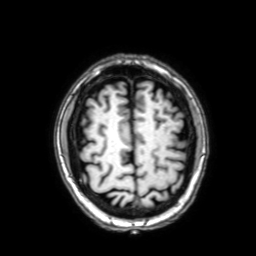
* modality · 3 Tesla brain MRI
* series · 3D T1-weighted with SENSE
* study · ring-enhancing brain masses